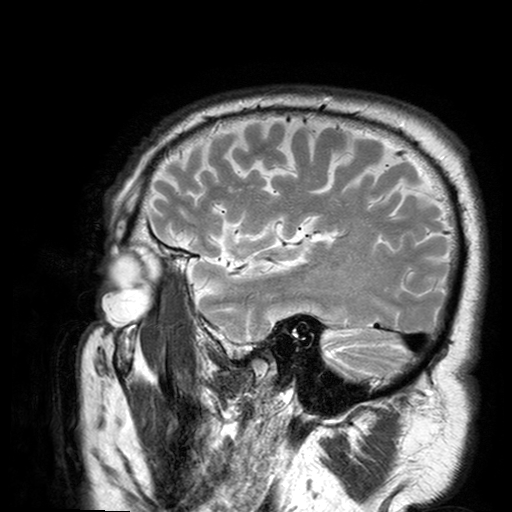
3 Tesla brain MRI. Series: T2-weighted turbo spin echo with SENSE. Study: ring-enhancing brain masses.